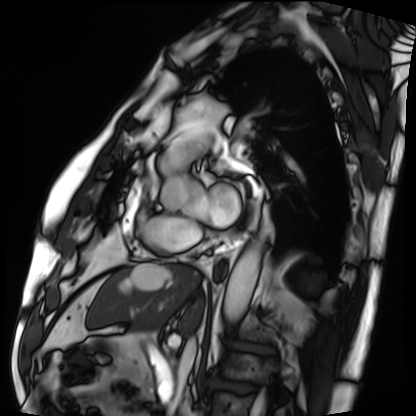
Case summary:
Cardiac MRI. Subject group: patient.